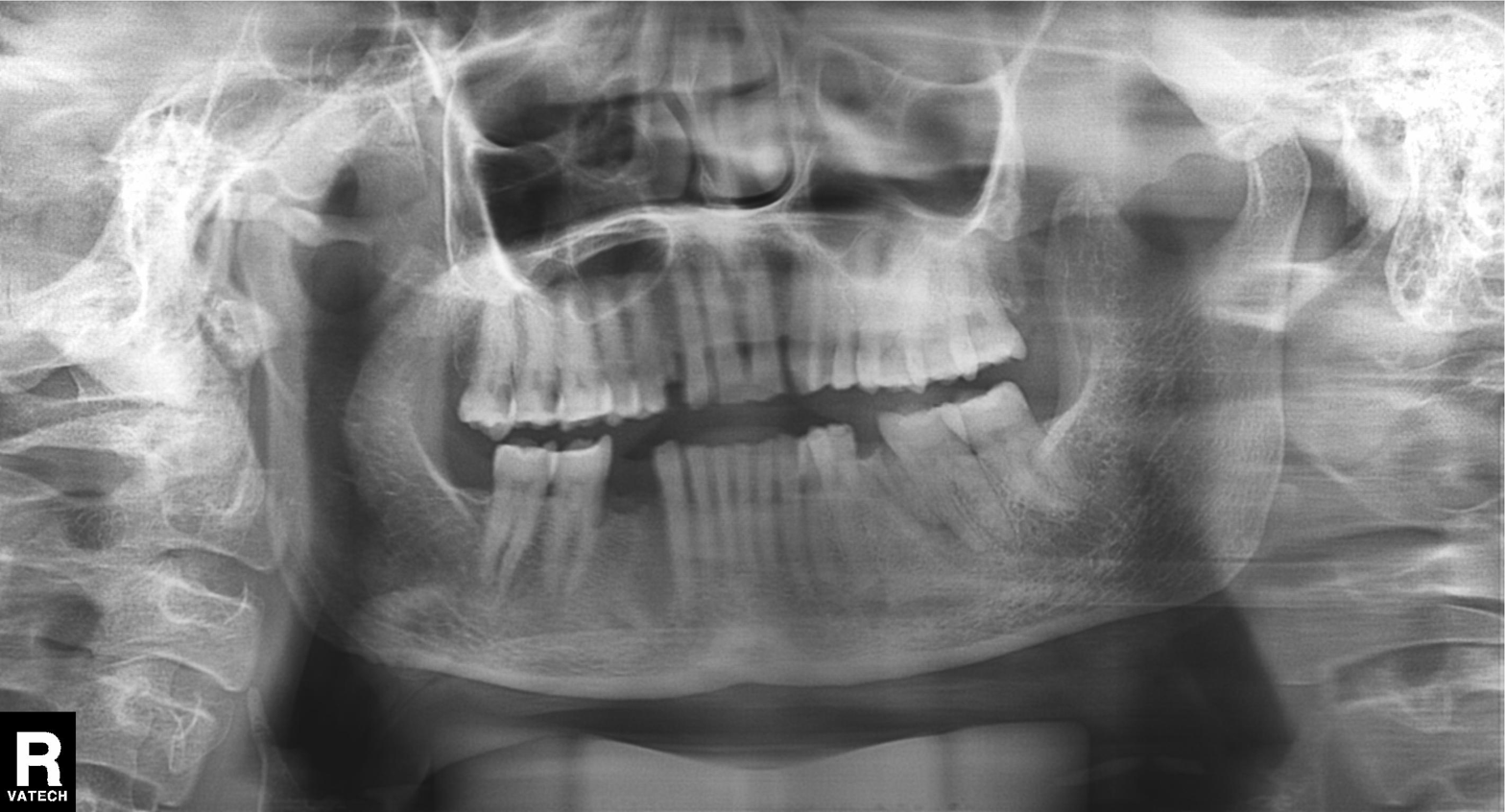
Panoramic dental radiograph (orthopantomogram). Finding: alveolar bone loss.